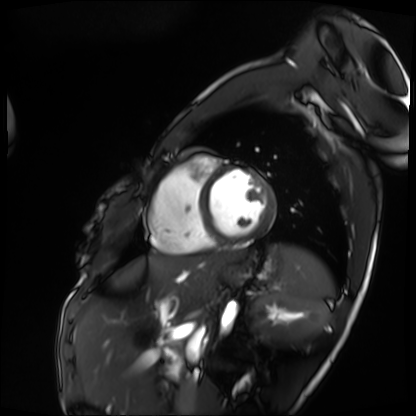
Cardiac MRI. Subject group: patient.